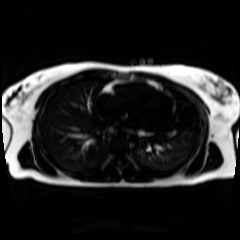
modality = chemical-shift-encoded cardiac MRI